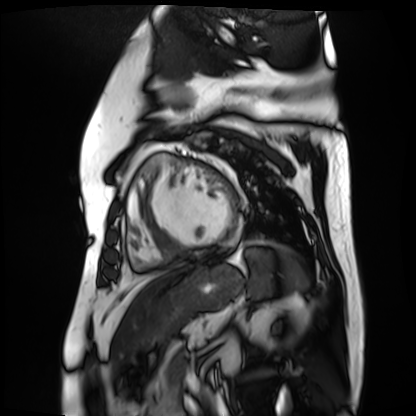
Cardiac MR image of the myocardium. Subject cohort: cardiac patient.